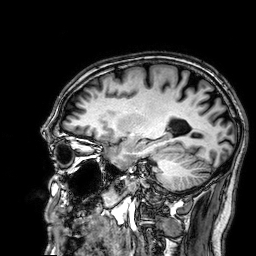
modality = 3 Tesla brain MRI | series = 3D T1-weighted | study = ring-enhancing brain masses.